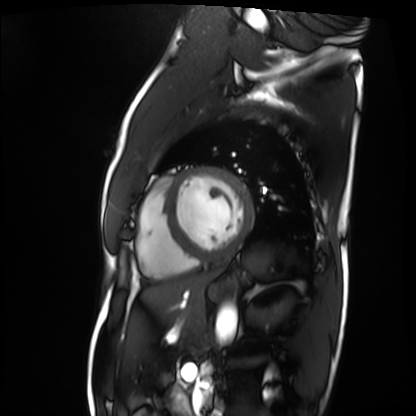
Cardiac MRI. Subject group: patient.